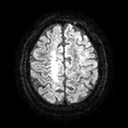
Case summary: 3 Tesla brain MRI. Series: diffusion tensor imaging (medium iso). Study: ring-enhancing brain masses.